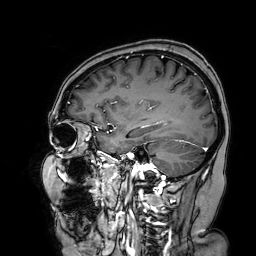
3 Tesla brain MRI. Study: ring-enhancing brain masses.